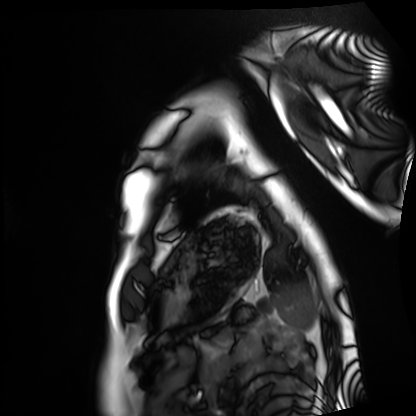
Q: What kind of scan is this?
A: Cardiac MRI.
Subject group: healthy volunteer.